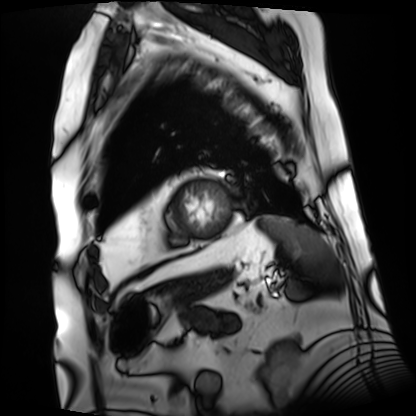
– modality: cardiac MRI
– subject group: patient